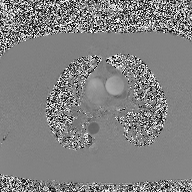
<study>
  <modality>
    <type>2D phase-contrast cine MRI</type>
    <region>ascending aorta</region>
    <reconstruction>high-resolution GRAPPA acquisition</reconstruction>
  </modality>
</study>